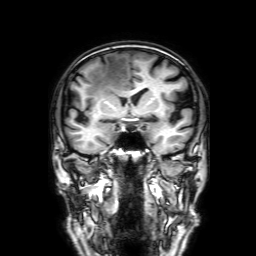
modality — 3 Tesla brain MRI; series — 3D T1-weighted with SENSE; study — ring-enhancing brain masses.